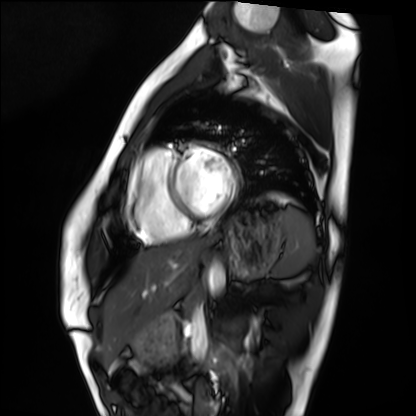
Clinical context: Cardiac MRI. Subject group: healthy volunteer.